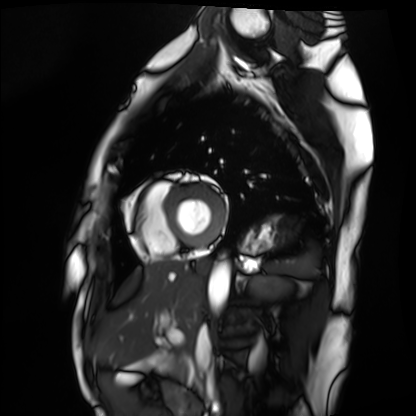
Cardiac MRI.
Subject group: healthy volunteer.